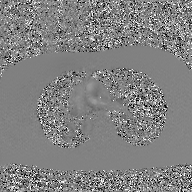
modality=2D phase-contrast cine MRI of the ascending aorta, GAN super-resolution reconstruction.